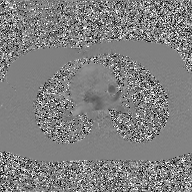
modality:
  type: 2D phase-contrast cine MRI
  region: ascending aorta
  reconstruction: GAN super-resolution reconstruction